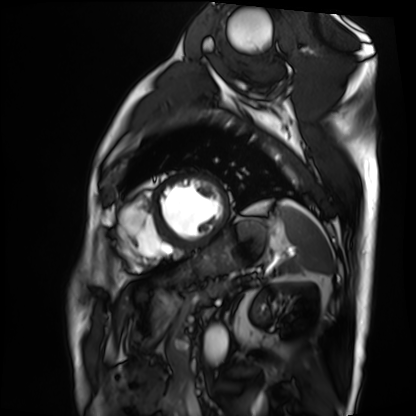
Cardiac MRI.
Subject group: patient.